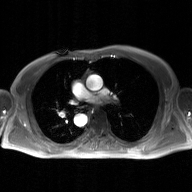
2D phase-contrast cine MRI of the ascending aorta, GAN super-resolution reconstruction.